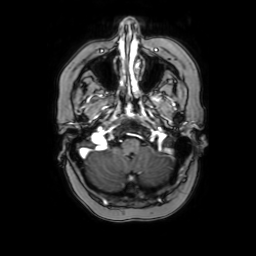
modality — 3 Tesla brain MRI | study — ring-enhancing brain masses.